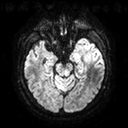
Summary: 3 Tesla brain MRI. Series: diffusion tensor imaging (medium iso). Study: ring-enhancing brain masses.